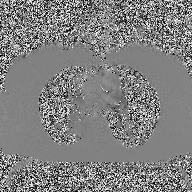
Clinical context: 2D phase-contrast cine MRI of the ascending aorta, high-resolution GRAPPA acquisition.